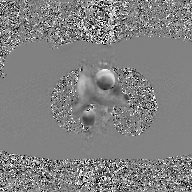
2D phase-contrast cine MRI of the ascending aorta, GAN super-resolution reconstruction.